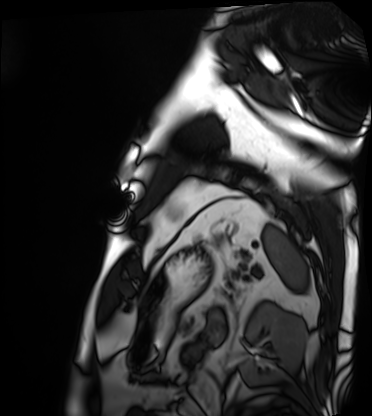
Case summary: Cardiac MRI. Subject group: patient.